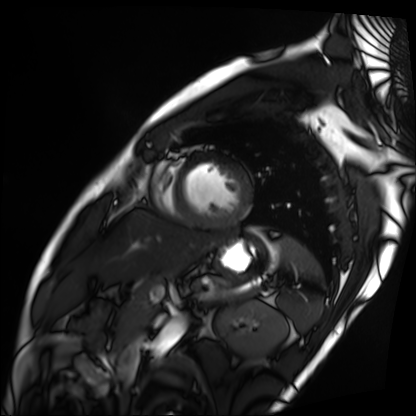
modality: cardiac MRI
subject group: patient